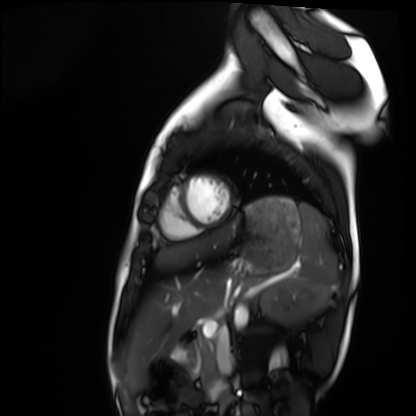
Cardiac MRI. Subject group: healthy volunteer.